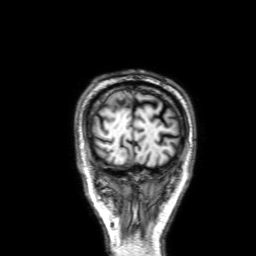
• modality — 3 Tesla brain MRI
• series — 3D T1-weighted with SENSE
• study — ring-enhancing brain masses